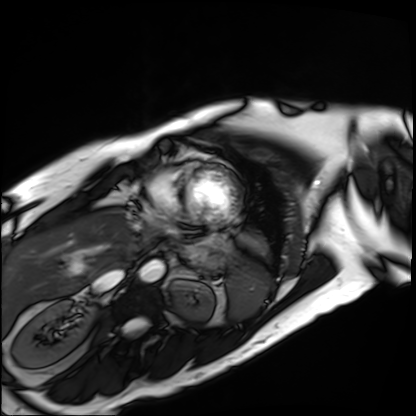
  modality: cardiac MRI
  cohort: patient